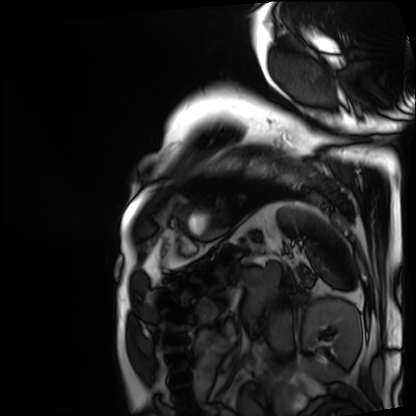
Summary:
Cardiac MRI. Subject group: patient.